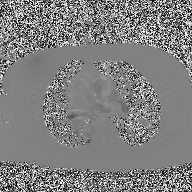
Case:
* modality — 2D phase-contrast cine MRI of the ascending aorta